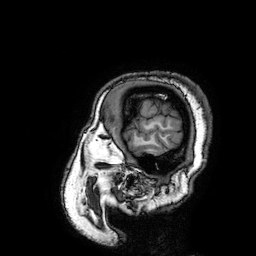
Clinical context: 3 Tesla brain MRI. Series: 3D T1-weighted turbo field echo with SENSE. Study: ring-enhancing brain masses.